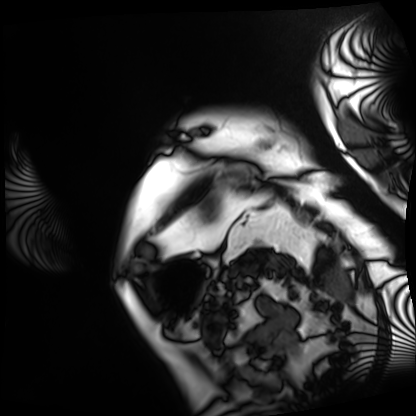
Case:
- modality: cardiac MRI
- subject group: patient